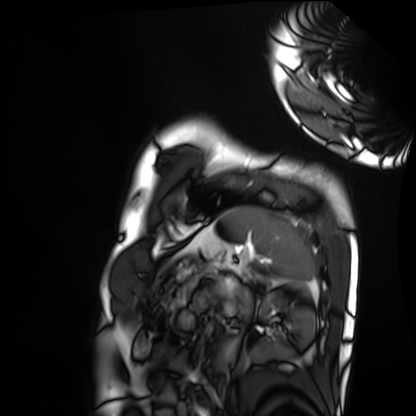
Cardiac MRI. Subject group: healthy volunteer.